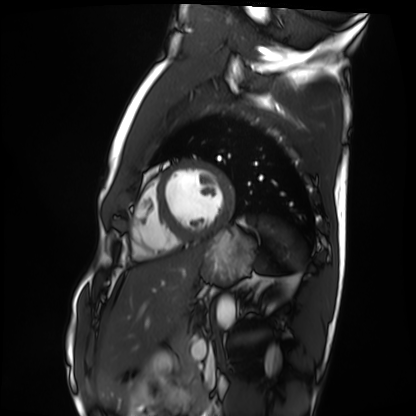
– modality — cardiac MRI
– subject group — healthy volunteer